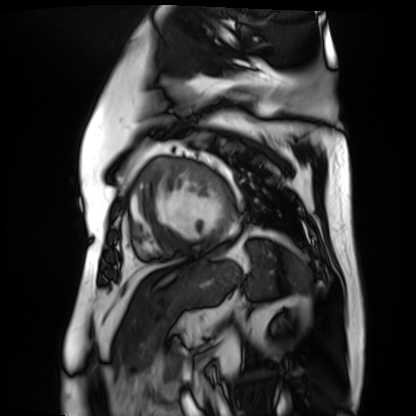
Case summary:
Cardiac MR image of the myocardium. Subject cohort: cardiac patient.